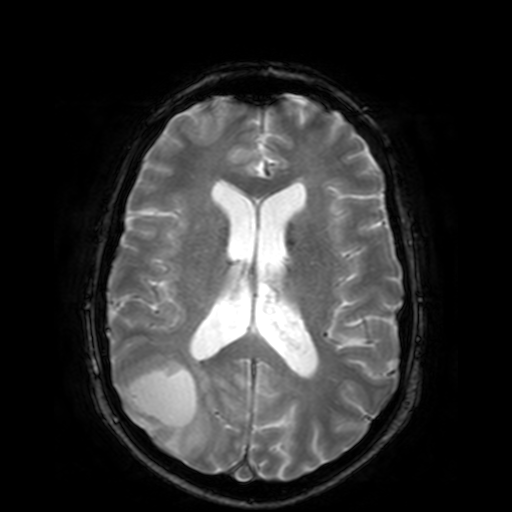
3 Tesla brain MRI. Series: T2-weighted fast field echo. Study: ring-enhancing brain masses.